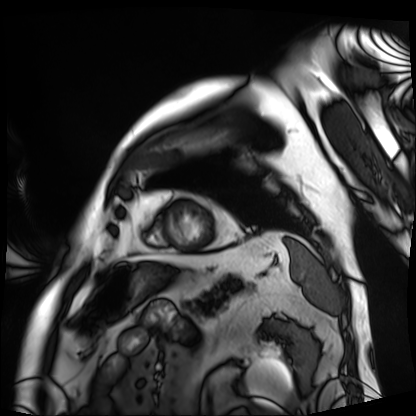
Case summary:
Cardiac MRI. Subject group: patient.